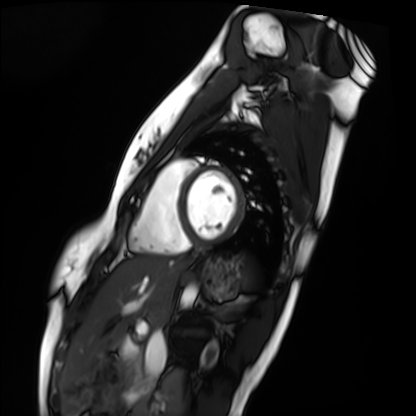
Case summary:
Cardiac MRI. Subject group: healthy volunteer.